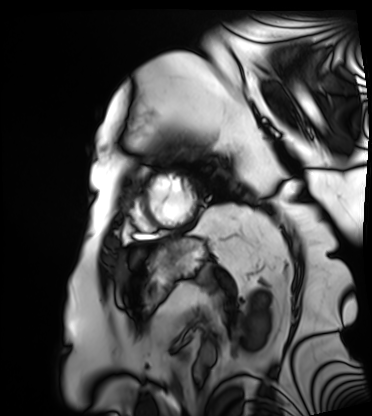
{"modality": "cardiac MRI", "cohort": "patient"}